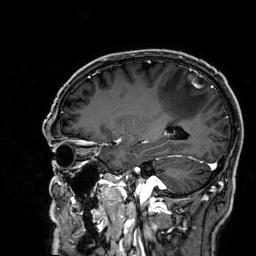
modality=3 Tesla brain MRI | series=3D T1-weighted | study=ring-enhancing brain masses.